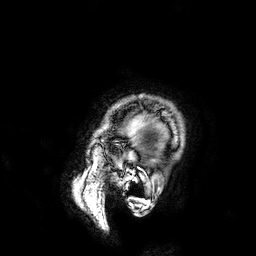
<scan>
  <modality>
    <type>brain MRI</type>
    <field_strength>3T</field_strength>
  </modality>
  <series>3D T1-weighted</series>
  <study_topic>ring-enhancing brain masses</study_topic>
</scan>